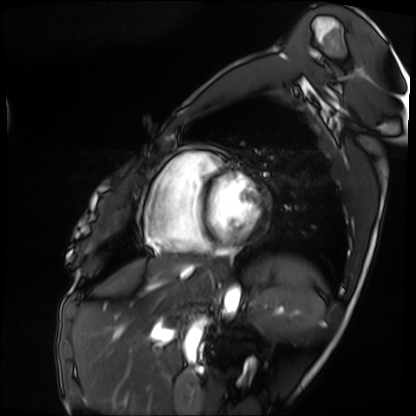
Summary: Cardiac MRI. Subject group: patient.